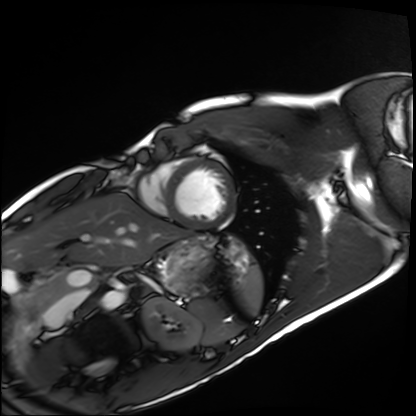
Cardiac MRI.
Subject group: healthy volunteer.